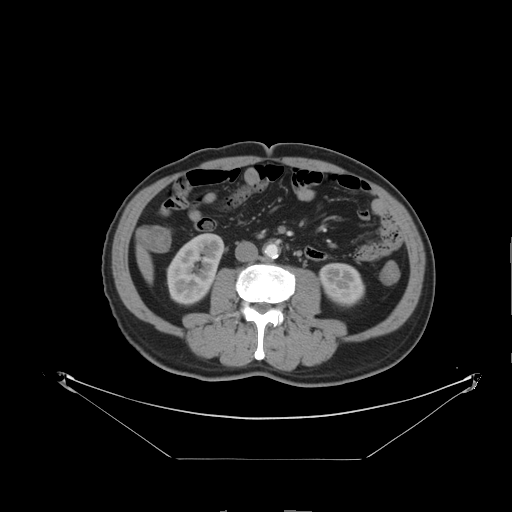
Q: What kind of scan is this?
A: Multiphase abdominal CT, liver, arterial phase.
Q: Patient?
A: Male, age 64.